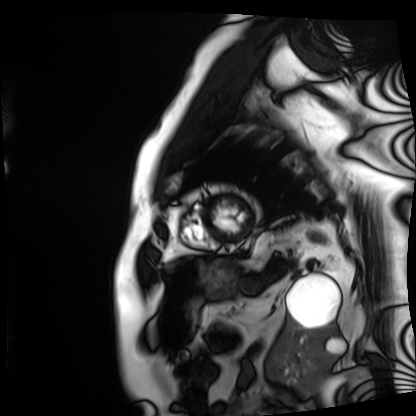
modality=cardiac MRI
subject group=patient